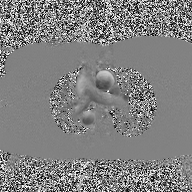
2D phase-contrast cine MRI of the ascending aorta, high-resolution GRAPPA acquisition.